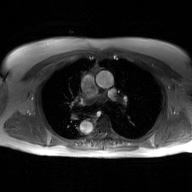
modality = 2D phase-contrast cine MRI of the ascending aorta, GAN super-resolution reconstruction.